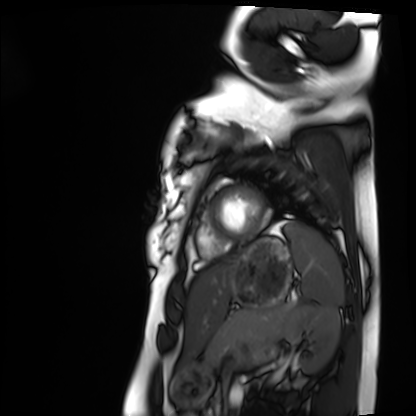
modality: cardiac MRI
subject group: healthy volunteer